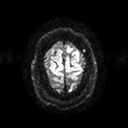
3 Tesla brain MRI. Series: diffusion tensor imaging (medium iso). Study: ring-enhancing brain masses.